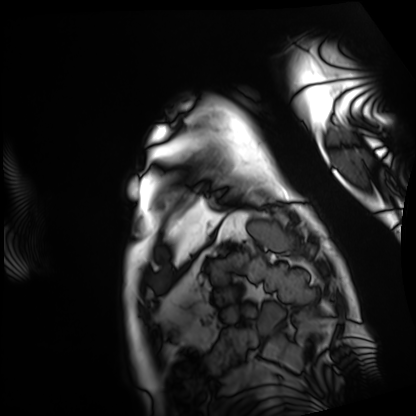
Cardiac MRI.
Subject group: patient.